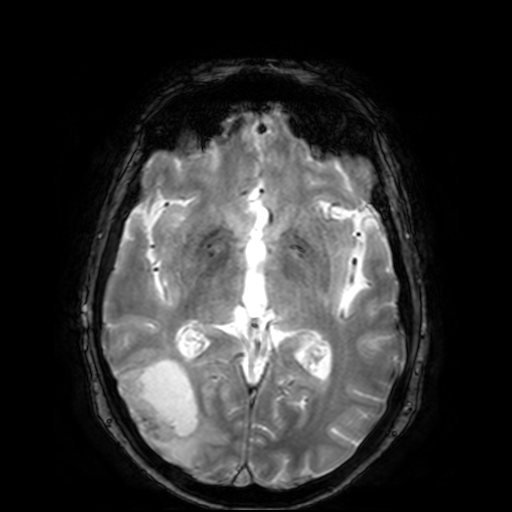
3 Tesla brain MRI. Study: ring-enhancing brain masses.